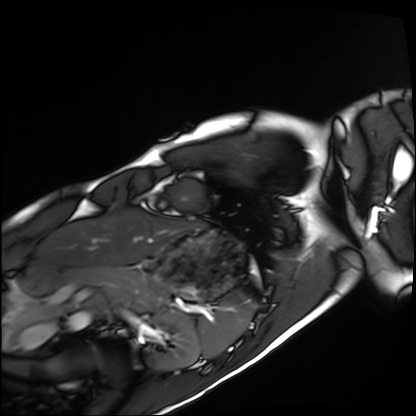
modality: cardiac MRI
subject group: healthy volunteer